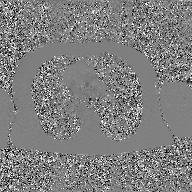
2D phase-contrast cine MRI of the ascending aorta, GAN super-resolution reconstruction.